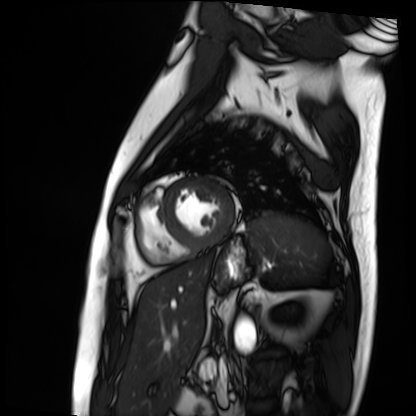
Q: What kind of scan is this?
A: Cardiac MRI.
Subject group: patient.